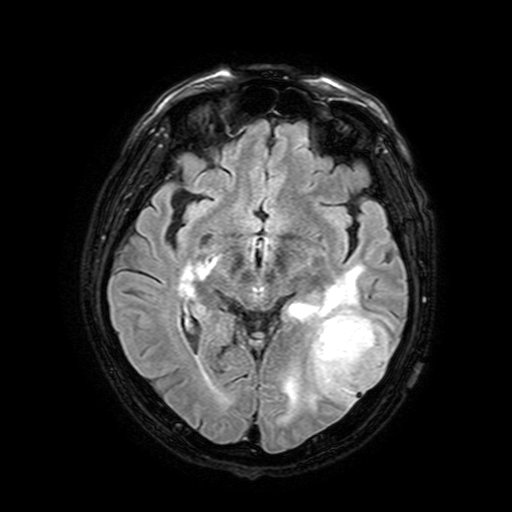
| field | value |
|---|---|
| modality | 3 Tesla brain MRI |
| series | FLAIR with SPAIR, 3 mm |
| study | ring-enhancing brain masses |